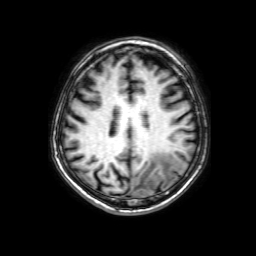
Q: What kind of scan is this?
A: 3 Tesla brain MRI.
Q: Series?
A: 3D T1-weighted with SENSE.
Study: ring-enhancing brain masses.